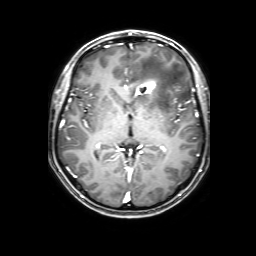
modality:
  type: brain MRI
  field_strength: 3T
series: 3D T1-weighted with SENSE
study_topic: ring-enhancing brain masses